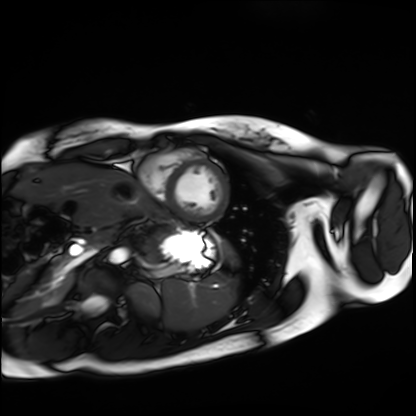
Cardiac MRI.
Subject group: healthy volunteer.